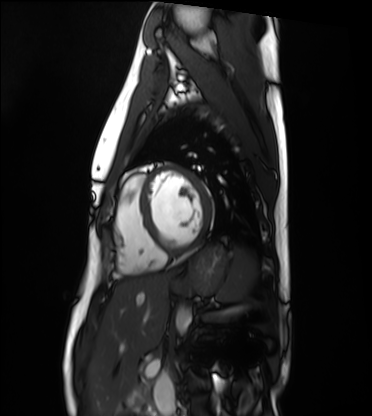
{
  "modality": "cardiac MRI",
  "cohort": "healthy volunteer"
}